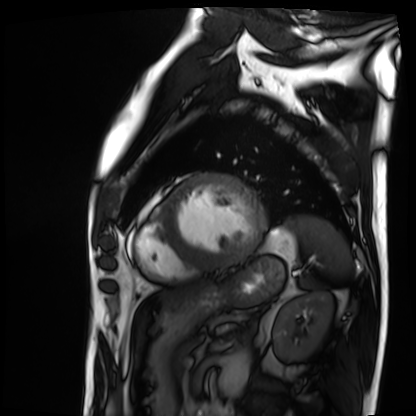
Case summary: Cardiac MRI. Subject group: patient.